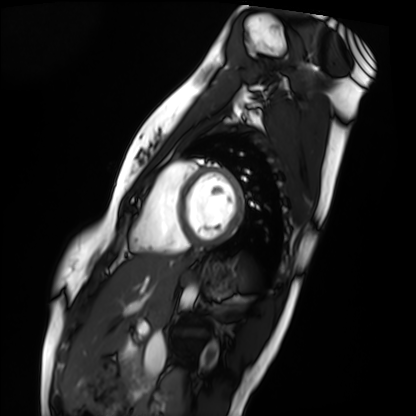
Cardiac MRI. Subject group: healthy volunteer.